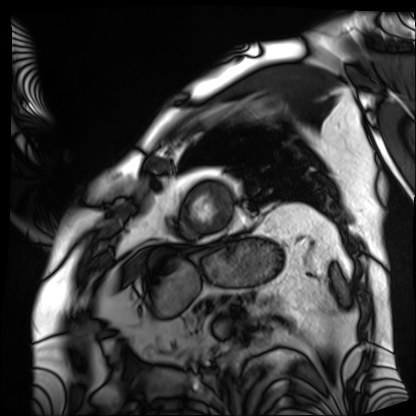
modality: cardiac MRI
subject group: patient